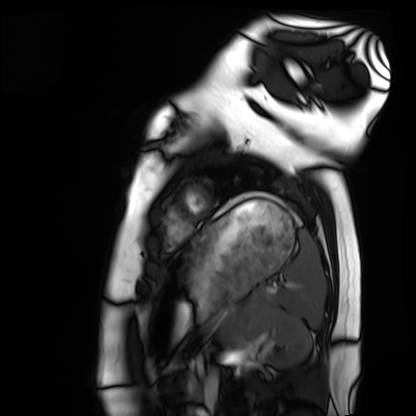
modality: cardiac MRI | subject group: healthy volunteer.